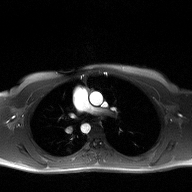
modality=2D phase-contrast cine MRI of the ascending aorta